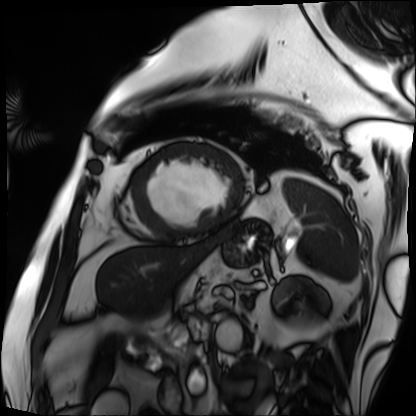
Summary:
Cardiac MRI. Subject group: patient.